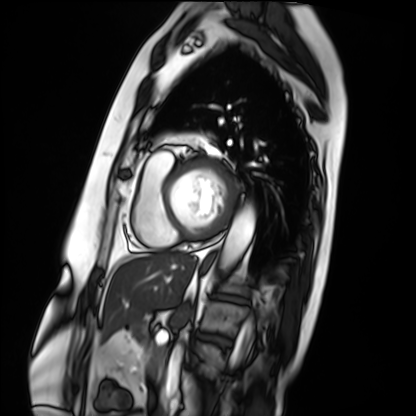
modality=cardiac MRI
subject group=patient